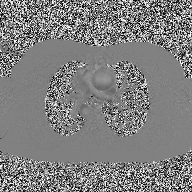
  modality:
    type: 2D phase-contrast cine MRI
    region: ascending aorta
    reconstruction: high-resolution GRAPPA acquisition